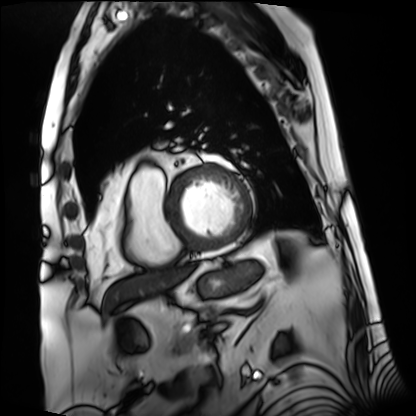
Cardiac MRI. Subject group: patient.